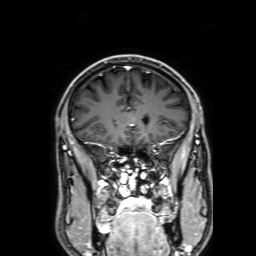
Summary: 3 Tesla brain MRI. Series: 3D T1-weighted with SENSE. Study: ring-enhancing brain masses.